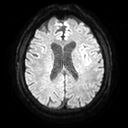
Clinical context:
3 Tesla brain MRI. Series: diffusion tensor imaging (medium iso). Study: ring-enhancing brain masses.